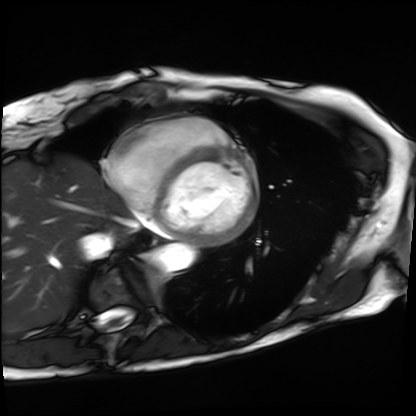
Summary: Cardiac MRI. Subject group: patient.